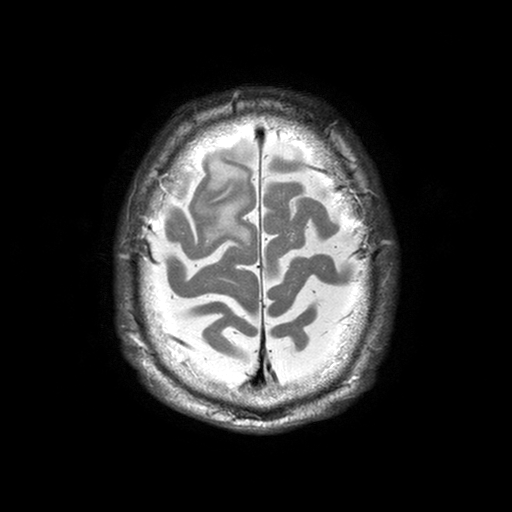
{"modality": {"type": "brain MRI", "field_strength": "3T"}, "series": "T2-weighted turbo spin echo with SENSE", "study_topic": "ring-enhancing brain masses"}